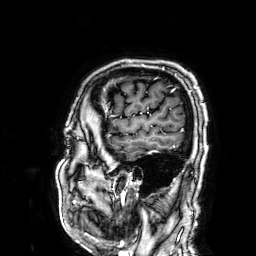
modality: 3 Tesla brain MRI; series: 3D T1-weighted; study: ring-enhancing brain masses.